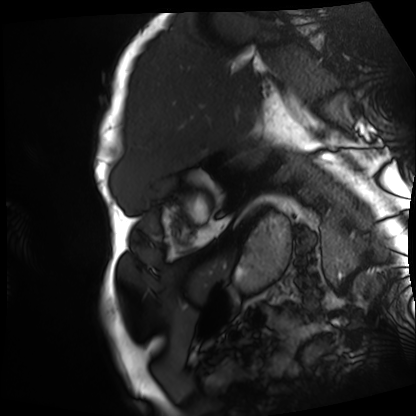
Q: What kind of scan is this?
A: Cardiac MRI.
Subject group: patient.